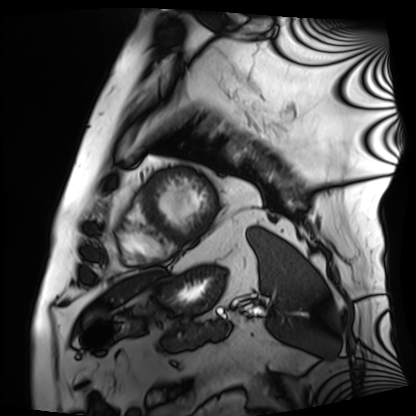
modality: cardiac MRI
subject group: patient